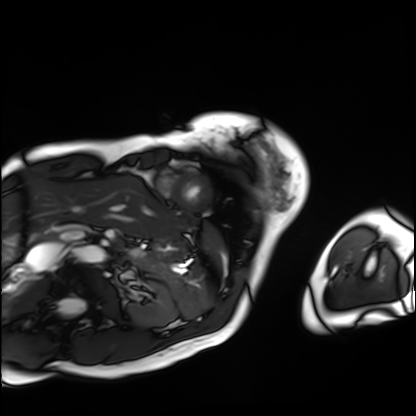
Cardiac MRI.
Subject group: patient.